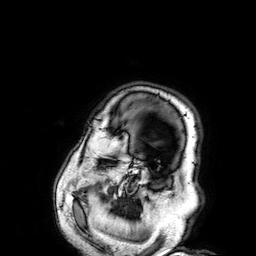
Q: What kind of scan is this?
A: 3 Tesla brain MRI.
Q: Series?
A: 3D T1-weighted.
Study: ring-enhancing brain masses.